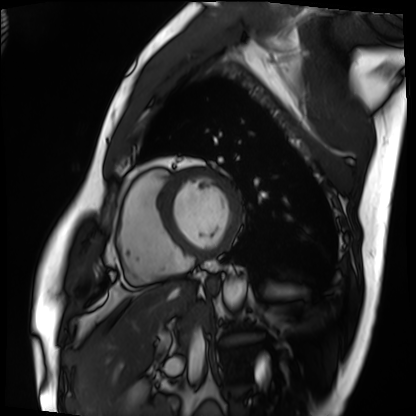
modality: cardiac MRI, subject group: patient.